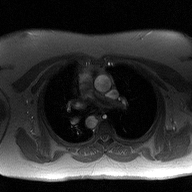
modality = 2D phase-contrast cine MRI of the ascending aorta.